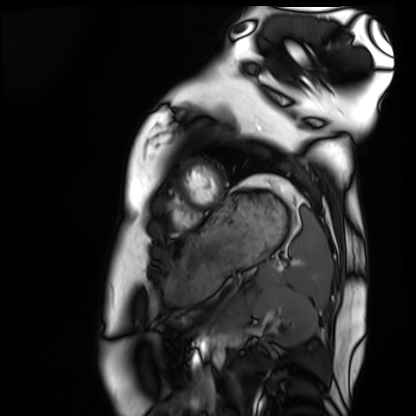
Cardiac MRI. Subject group: healthy volunteer.